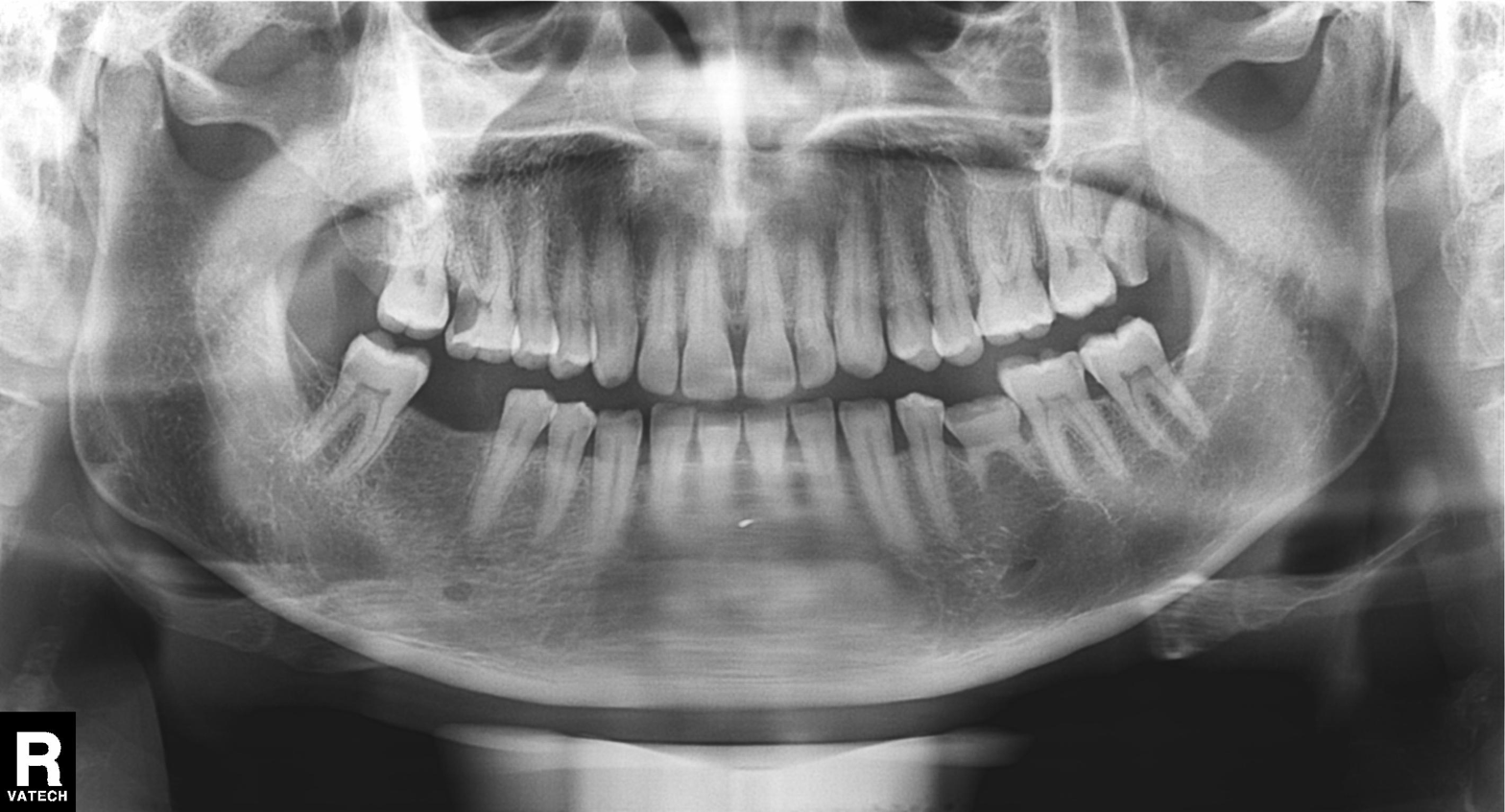
Clinical context:
Panoramic dental radiograph (orthopantomogram).
Assessment:
Alveolar bone loss.